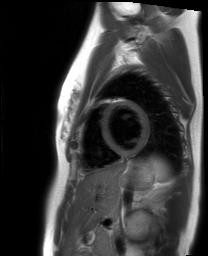
Clinical context:
Cardiac MRI. Subject group: healthy volunteer.